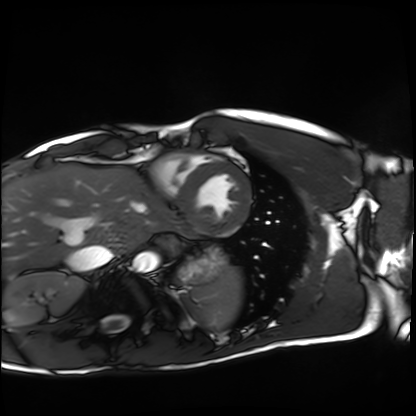
Cardiac MRI. Subject group: healthy volunteer.